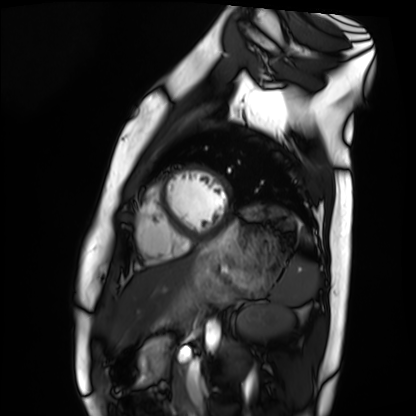
Cardiac MRI.
Subject group: healthy volunteer.